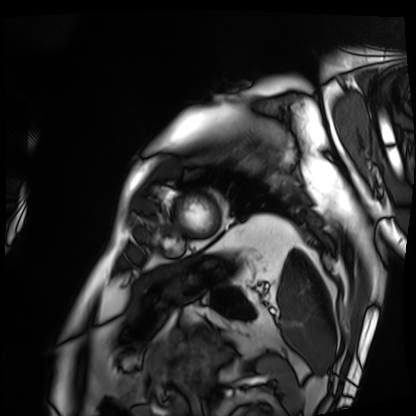
Case summary: Cardiac MRI. Subject group: patient.